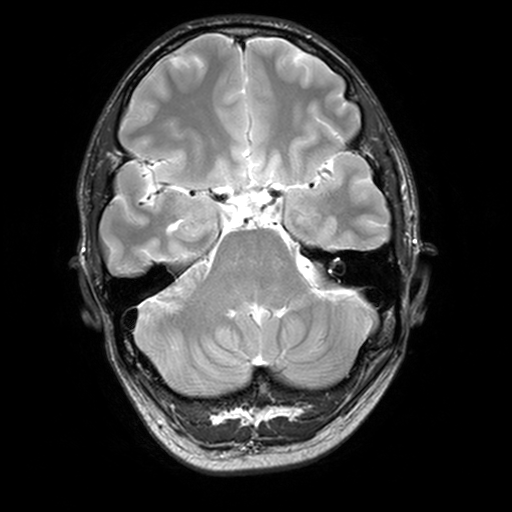
3 Tesla brain MRI. Series: T2-weighted turbo spin echo, 3 mm. Study: ring-enhancing brain masses.